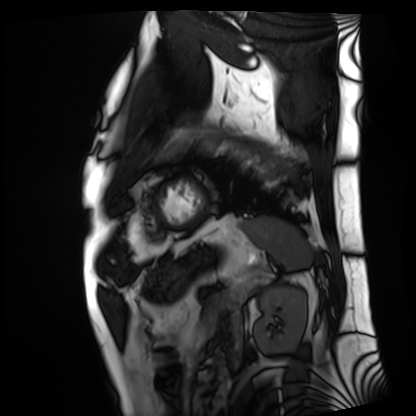
modality: cardiac MRI
subject group: patient